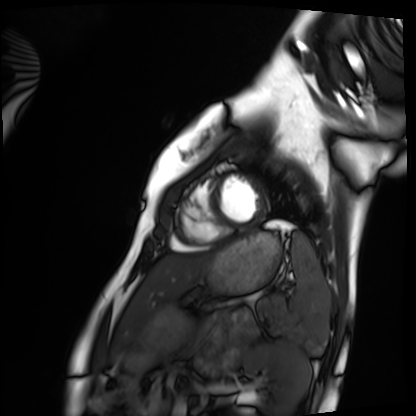
Cardiac MRI.
Subject group: healthy volunteer.